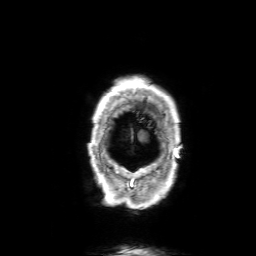
3 Tesla brain MRI.
Series: 3D T1-weighted with SENSE.
Study: ring-enhancing brain masses.